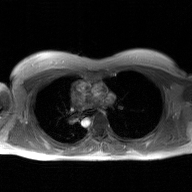
modality = 2D phase-contrast cine MRI of the ascending aorta, GAN super-resolution reconstruction.